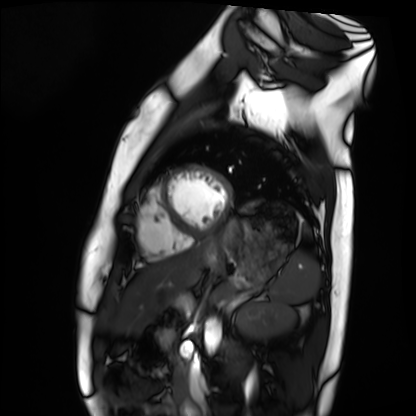
modality: cardiac MRI
cohort: healthy volunteer